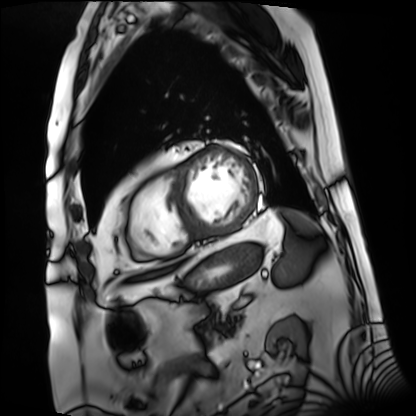
modality = cardiac MRI
subject group = patient